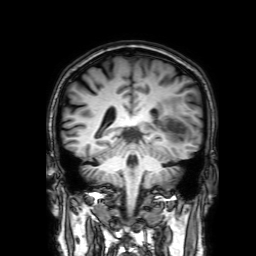
3 Tesla brain MRI. Series: 3D T1-weighted with SENSE. Study: ring-enhancing brain masses.